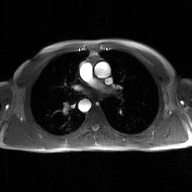
Q: What kind of scan is this?
A: 2D phase-contrast cine MRI of the ascending aorta, GAN super-resolution reconstruction.